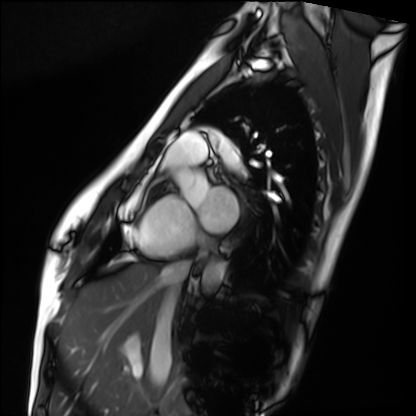
Q: What kind of scan is this?
A: Cardiac MRI.
Subject group: healthy volunteer.